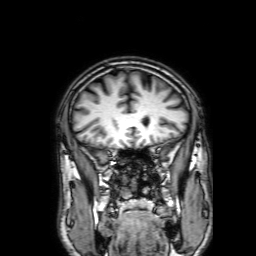
- modality · 3 Tesla brain MRI
- series · 3D T1-weighted with SENSE
- study · ring-enhancing brain masses